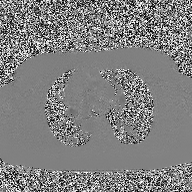
– modality · 2D phase-contrast cine MRI of the ascending aorta